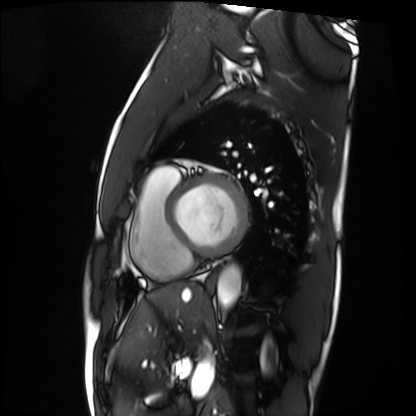
modality — cardiac MRI | subject group — patient.